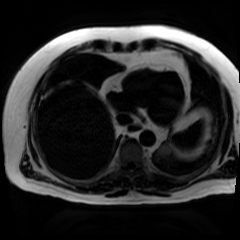
- modality: chemical-shift-encoded cardiac MRI